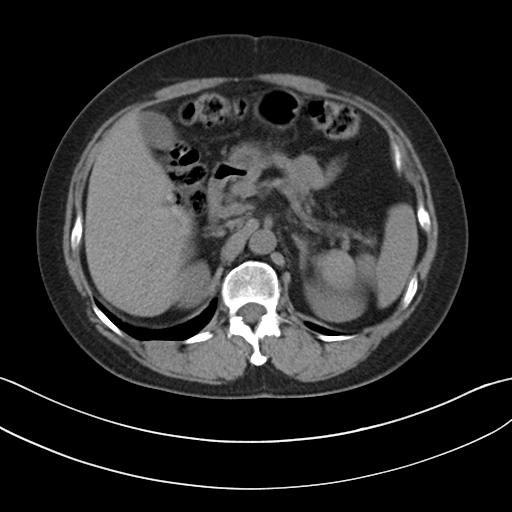
Clinical context:
Multiphase abdominal CT, liver, non-contrast phase. Patient: female, age 57. History: viral hepatitis.